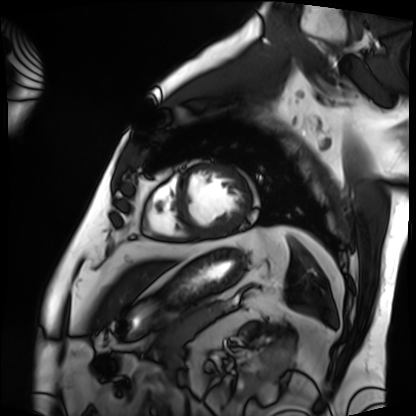
modality: cardiac MRI, subject group: patient.